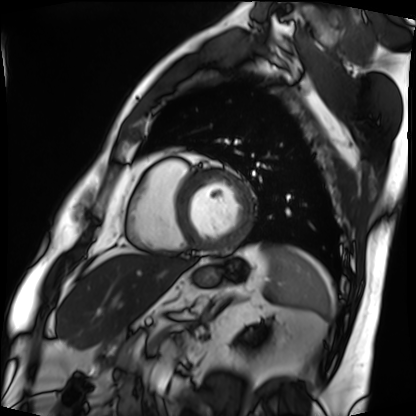
Cardiac MRI.
Subject group: patient.